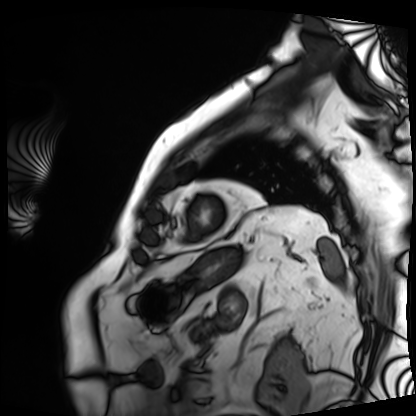
<study>
  <modality>cardiac MRI</modality>
  <cohort>patient</cohort>
</study>